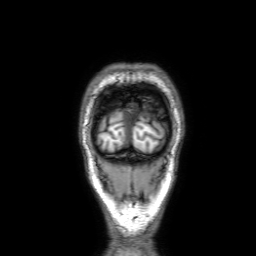
modality = 3 Tesla brain MRI | series = 3D T1-weighted with SENSE | study = ring-enhancing brain masses.